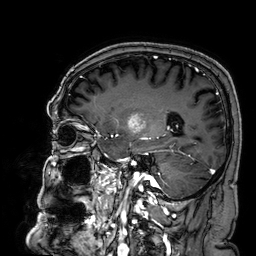
3 Tesla brain MRI.
Series: 3D T1-weighted.
Study: ring-enhancing brain masses.